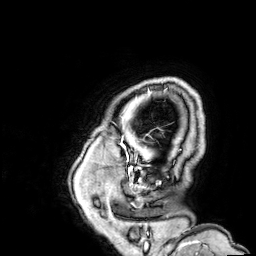
3 Tesla brain MRI. Study: ring-enhancing brain masses.